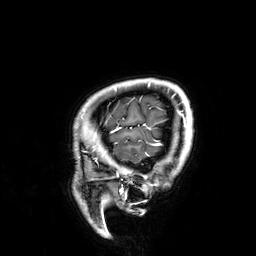
modality:
  type: brain MRI
  field_strength: 3T
series: 3D T1-weighted
study_topic: ring-enhancing brain masses